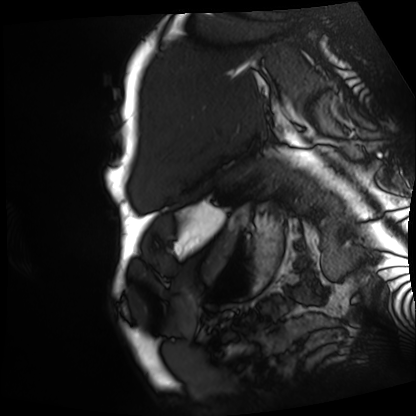
Case summary: Cardiac MRI. Subject group: patient.